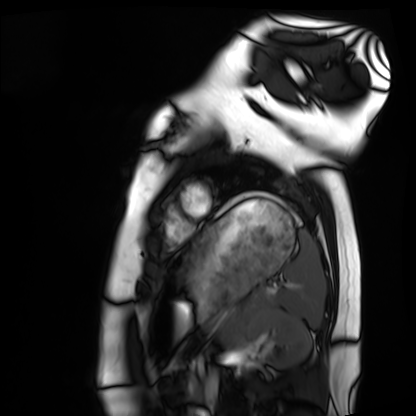
modality = cardiac MRI
subject group = healthy volunteer